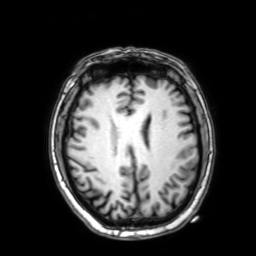
3 Tesla brain MRI. Study: ring-enhancing brain masses.